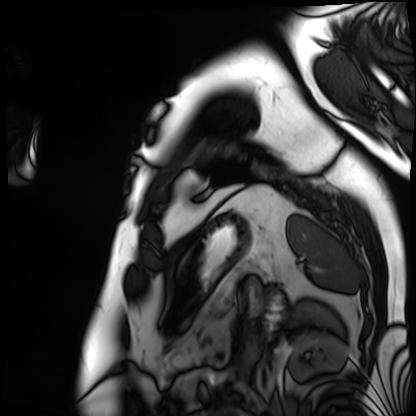
Cardiac MRI. Subject group: patient.